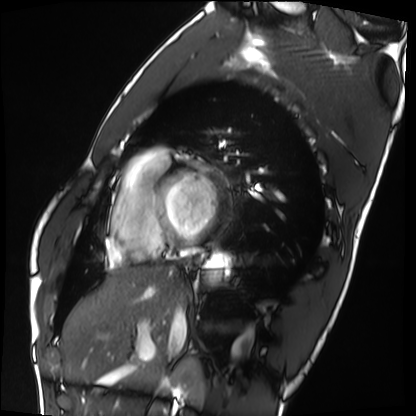
Q: What kind of scan is this?
A: Cardiac MRI.
Subject group: healthy volunteer.